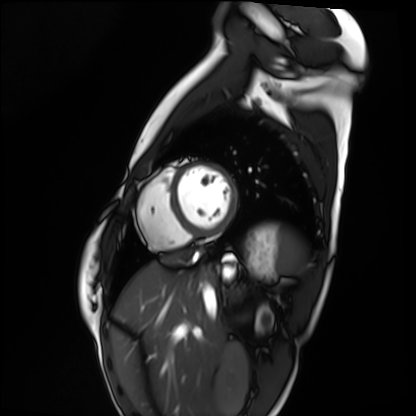
Summary:
Cardiac MRI. Subject group: healthy volunteer.